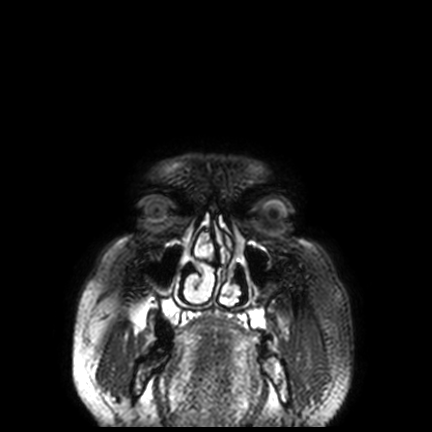
modality: 3 Tesla brain MRI; series: FLAIR VISTA with SENSE; study: ring-enhancing brain masses.